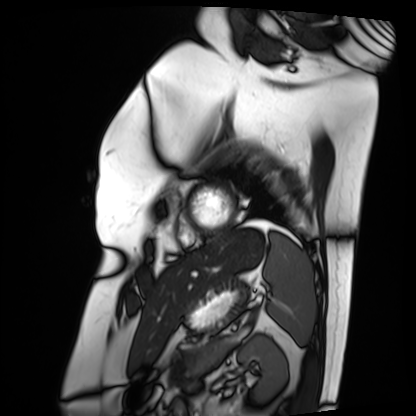
Clinical context:
Cardiac MRI. Subject group: patient.